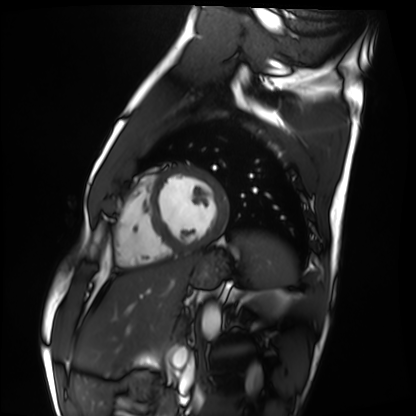
Q: What kind of scan is this?
A: Cardiac MRI.
Subject group: healthy volunteer.